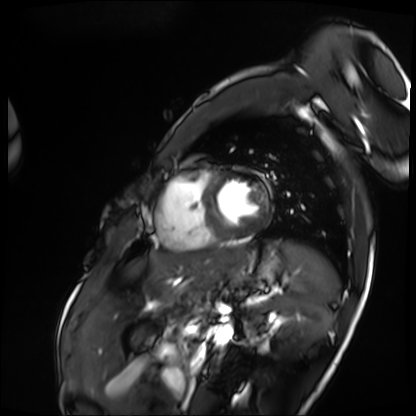
Cardiac MRI.
Subject group: patient.